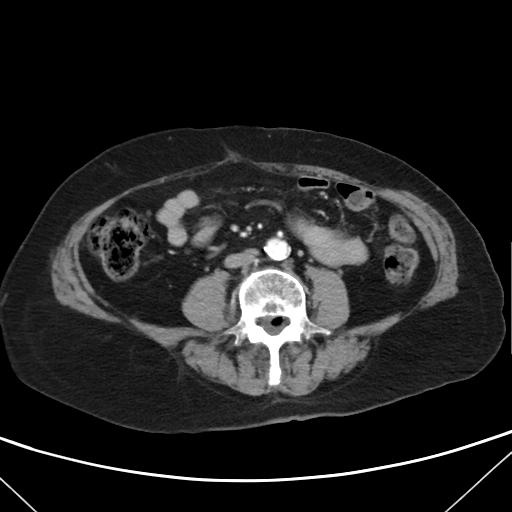
modality: multiphase abdominal CT, liver, arterial phase
patient: female, age 74
history: viral hepatitis